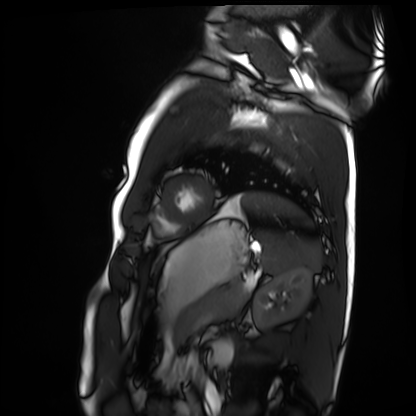
| field | value |
|---|---|
| modality | cardiac MRI |
| subject group | healthy volunteer |